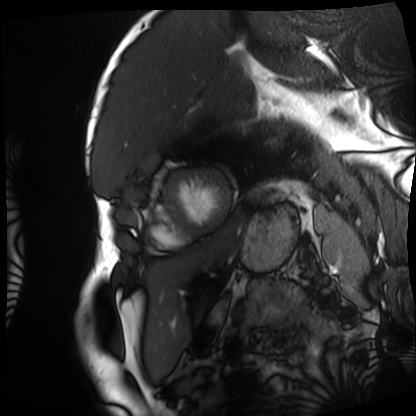
Summary: Cardiac MRI. Subject group: patient.